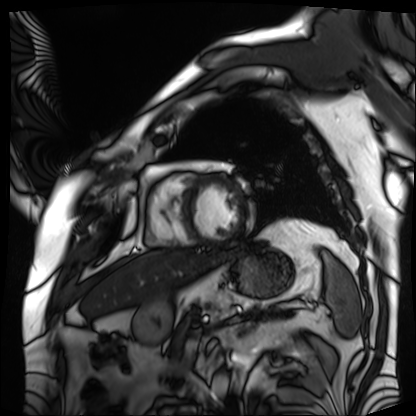
<record>
<modality>cardiac MRI</modality>
<cohort>patient</cohort>
</record>